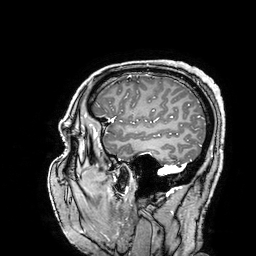
3 Tesla brain MRI. Series: 3D T1-weighted turbo field echo with SENSE. Study: ring-enhancing brain masses.